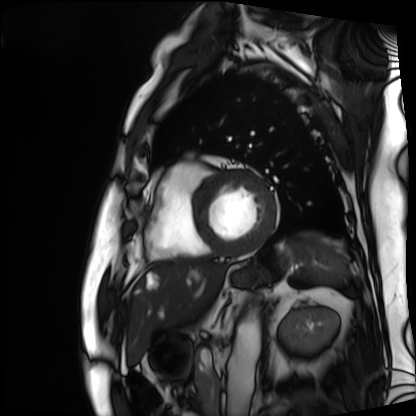
Cardiac MRI. Subject group: patient.